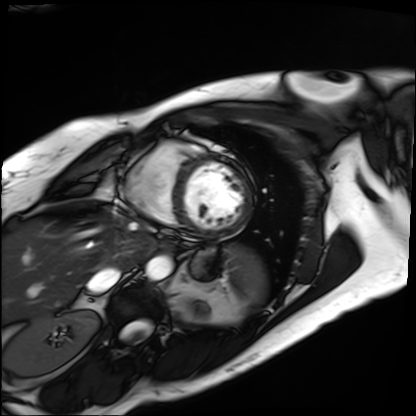
Cardiac MRI. Subject group: patient.